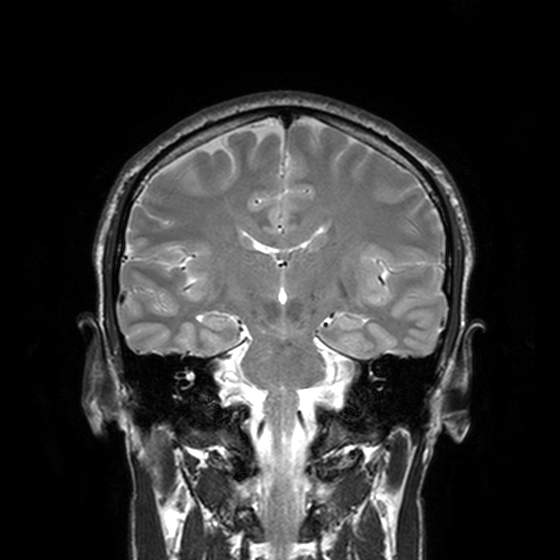
| field | value |
|---|---|
| modality | 3 Tesla brain MRI |
| series | T2-weighted turbo spin echo, 3 mm |
| study | ring-enhancing brain masses |